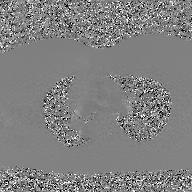
2D phase-contrast cine MRI of the ascending aorta, GAN super-resolution reconstruction.